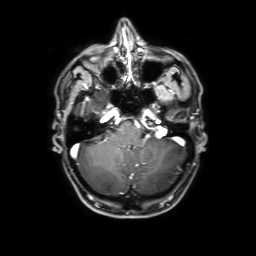
Clinical context:
3 Tesla brain MRI. Series: 3D T1-weighted with SENSE. Study: ring-enhancing brain masses.